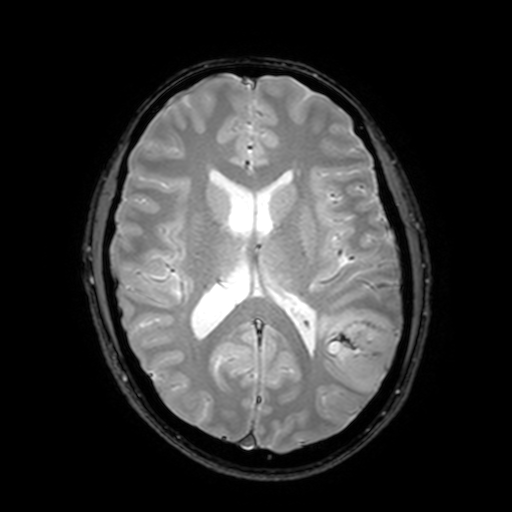
3 Tesla brain MRI.
Series: T2-weighted fast field echo with SENSE.
Study: ring-enhancing brain masses.